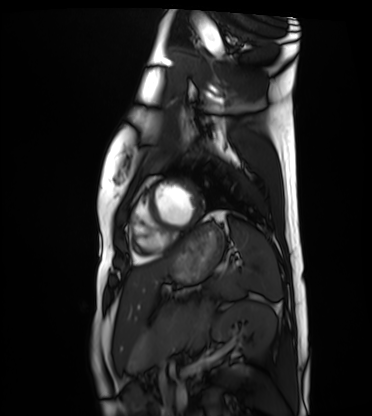
Summary: Cardiac MRI. Subject group: healthy volunteer.